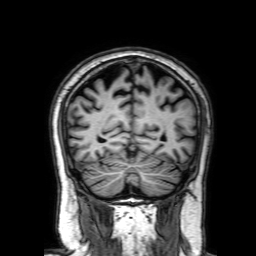
<record>
  <modality>
    <type>brain MRI</type>
    <field_strength>3T</field_strength>
  </modality>
  <series>3D T1-weighted with SENSE</series>
  <study_topic>ring-enhancing brain masses</study_topic>
</record>